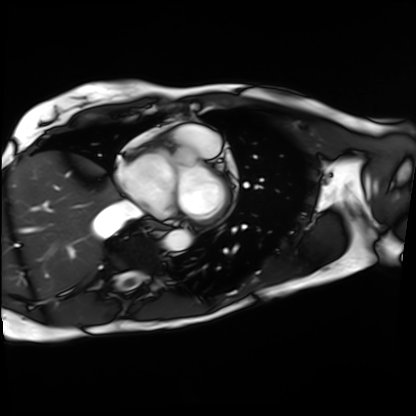
Cardiac MRI. Subject group: patient.